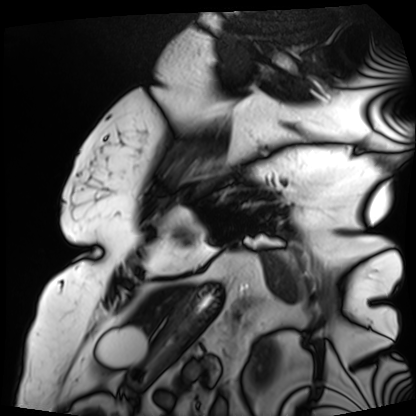
| field | value |
|---|---|
| modality | cardiac MRI |
| subject group | patient |